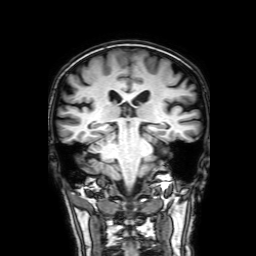
modality: 3 Tesla brain MRI | series: 3D T1-weighted with SENSE | study: ring-enhancing brain masses.